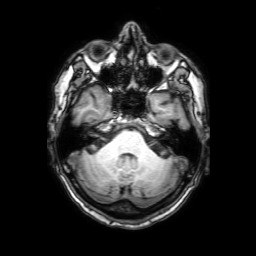
3 Tesla brain MRI.
Series: 3D T1-weighted with SENSE.
Study: ring-enhancing brain masses.